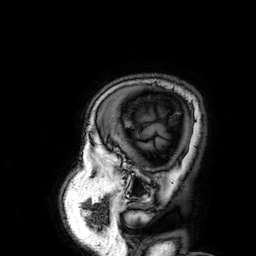
Clinical context: 3 Tesla brain MRI. Series: 3D T1-weighted. Study: ring-enhancing brain masses.